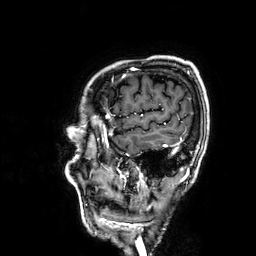
- modality: 3 Tesla brain MRI
- series: 3D T1-weighted
- study: ring-enhancing brain masses